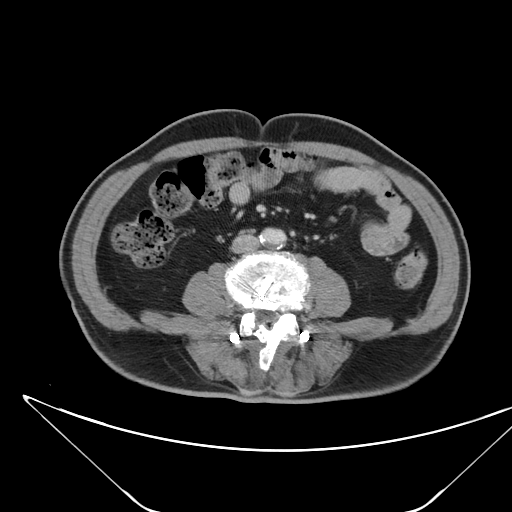
Multiphase abdominal CT, liver, portal venous phase. Patient: male, age 68.